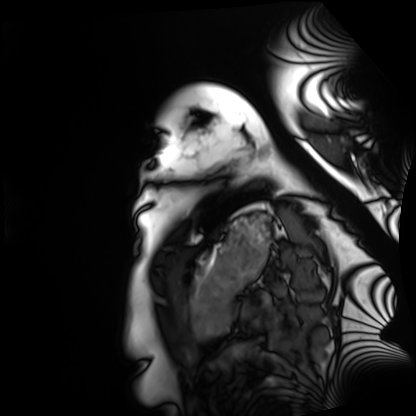
Cardiac MRI. Subject group: healthy volunteer.